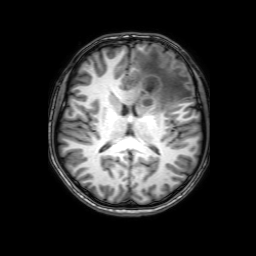
– modality · 3 Tesla brain MRI
– series · 3D T1-weighted with SENSE
– study · ring-enhancing brain masses